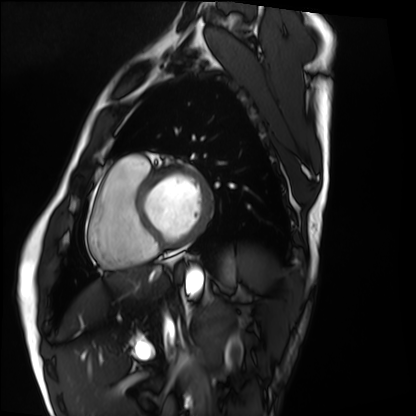
Cardiac MRI. Subject group: healthy volunteer.